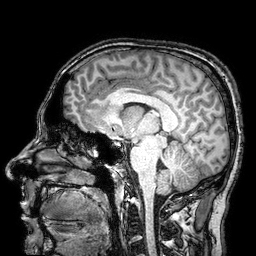
Clinical context:
3 Tesla brain MRI. Series: 3D T1-weighted turbo field echo with SENSE. Study: ring-enhancing brain masses.